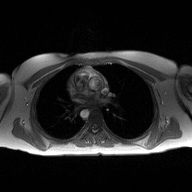
2D phase-contrast cine MRI of the ascending aorta, high-resolution GRAPPA acquisition.